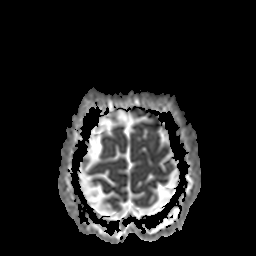
Q: What kind of scan is this?
A: 3 Tesla brain MRI.
Q: Series?
A: Apparent diffusion coefficient (ADC) map.
Study: ring-enhancing brain masses.